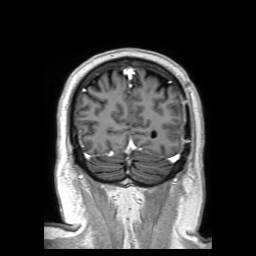
modality: 3 Tesla brain MRI
series: 3D T1-weighted TFE with SENSE
study: ring-enhancing brain masses